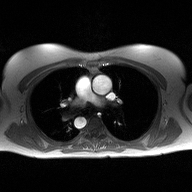
2D phase-contrast cine MRI of the ascending aorta, high-resolution GRAPPA acquisition.